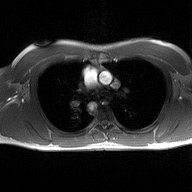
<scan>
<modality>
  <type>2D phase-contrast cine MRI</type>
  <region>ascending aorta</region>
  <reconstruction>high-resolution GRAPPA acquisition</reconstruction>
</modality>
</scan>